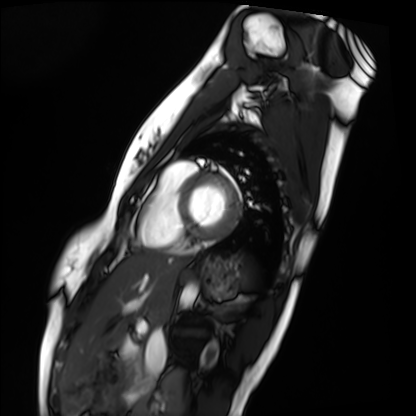
modality: cardiac MRI
cohort: healthy volunteer